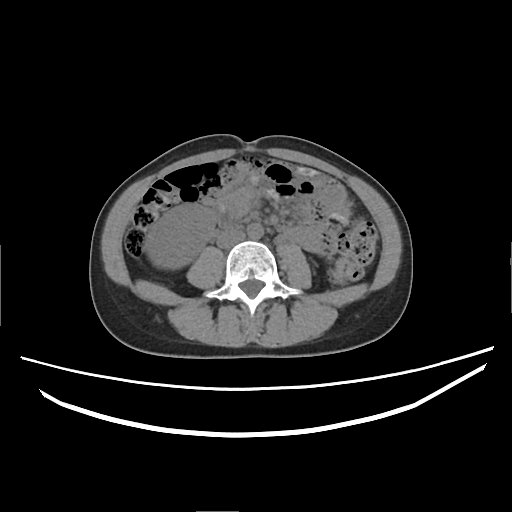
| field | value |
|---|---|
| modality | multiphase abdominal CT, liver, non-contrast phase |
| patient | female, age 38 |